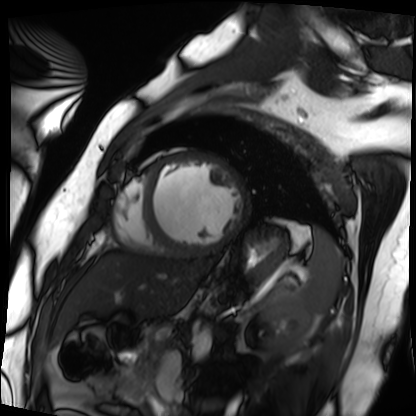
Case:
• modality: cardiac MRI
• subject group: patient